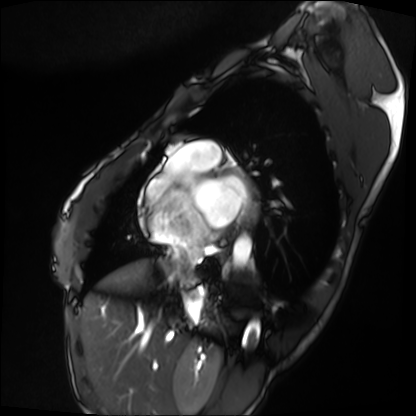
Summary:
Cardiac MRI. Subject group: patient.